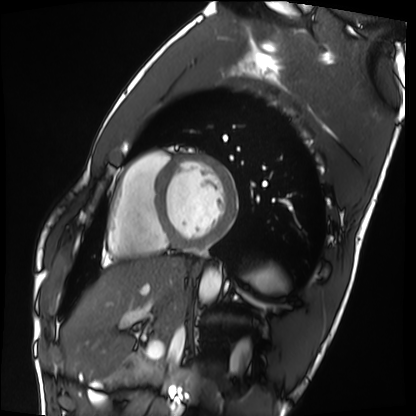
Clinical context:
Cardiac MRI. Subject group: healthy volunteer.